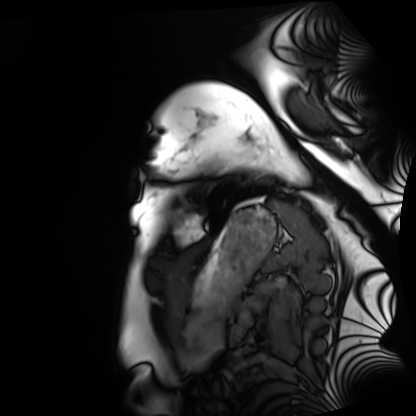
{
  "modality": "cardiac MRI",
  "cohort": "healthy volunteer"
}